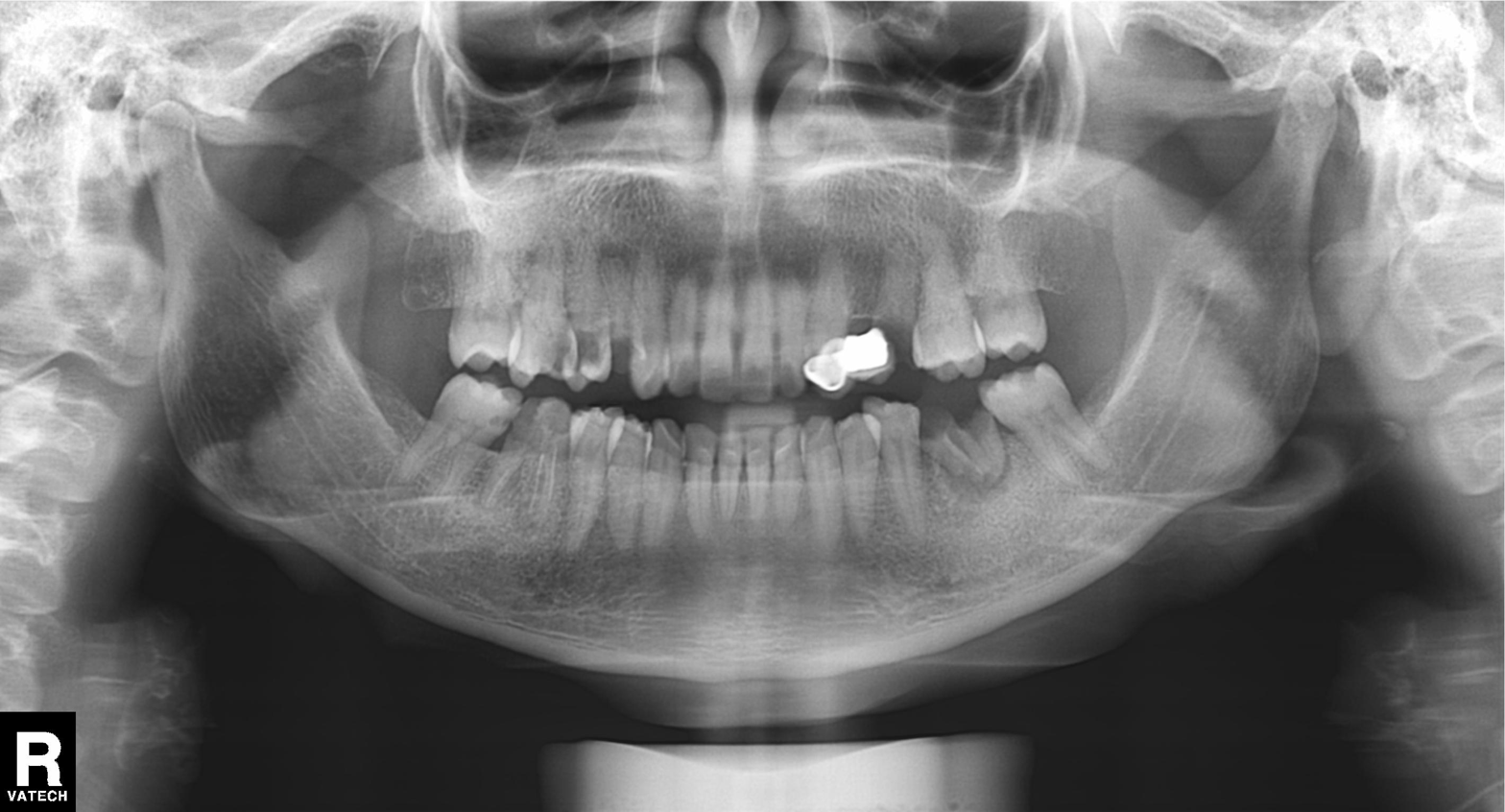
Panoramic dental radiograph (orthopantomogram). Finding: dental caries (cavities).